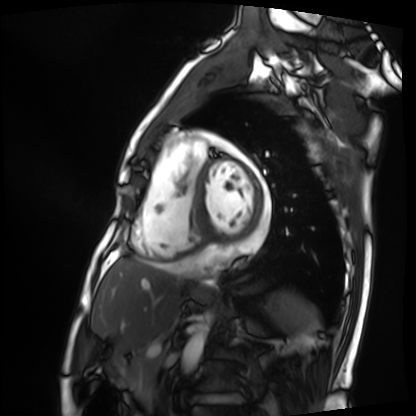
Cardiac MRI.
Subject group: patient.